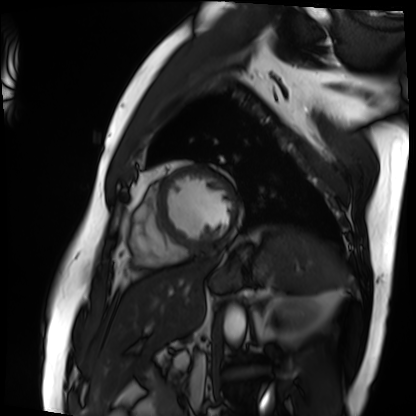
<case>
<modality>cardiac MRI</modality>
<cohort>patient</cohort>
</case>